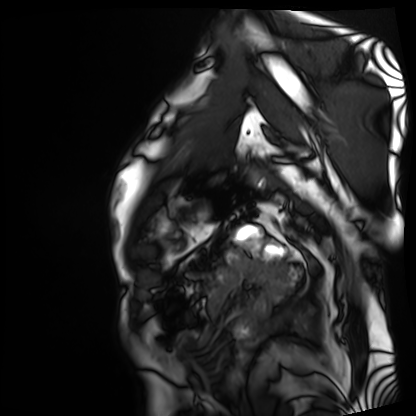
<scan>
  <modality>cardiac MRI</modality>
  <cohort>patient</cohort>
</scan>